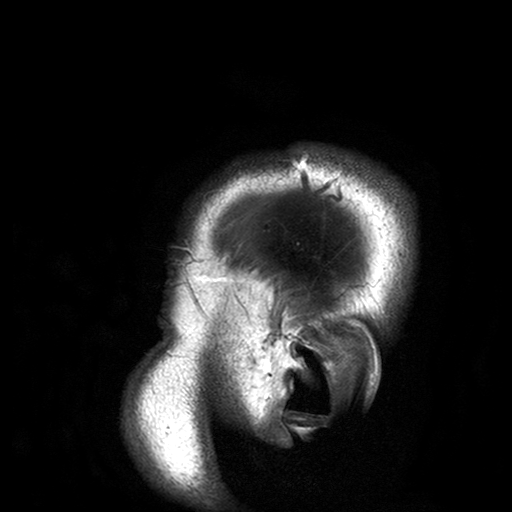
• modality: 3 Tesla brain MRI
• series: T2-weighted turbo spin echo with SENSE
• study: ring-enhancing brain masses